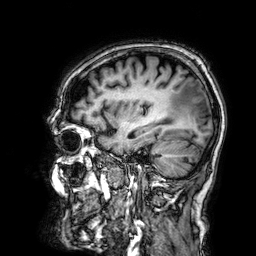
3 Tesla brain MRI.
Series: 3D T1-weighted.
Study: ring-enhancing brain masses.